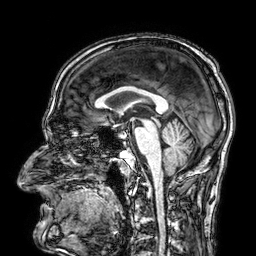
3 Tesla brain MRI.
Series: 3D T1-weighted.
Study: ring-enhancing brain masses.